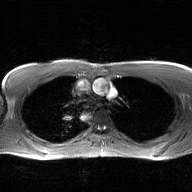
Q: What kind of scan is this?
A: 2D phase-contrast cine MRI of the ascending aorta, GAN super-resolution reconstruction.